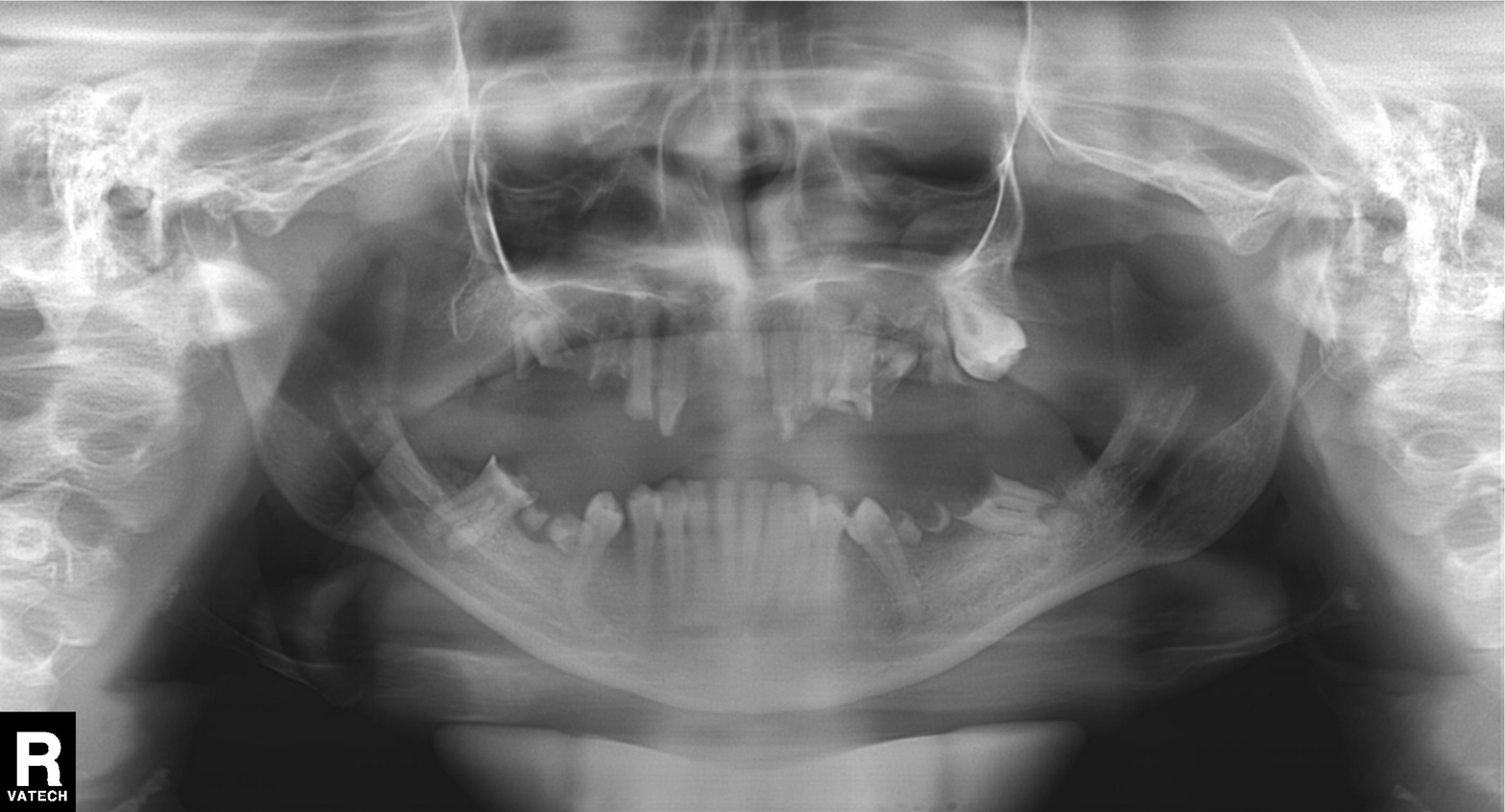
Panoramic dental radiograph (orthopantomogram). Finding: tooth impaction.